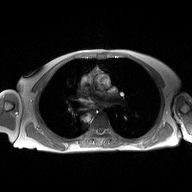
| field | value |
|---|---|
| modality | 2D phase-contrast cine MRI of the ascending aorta |